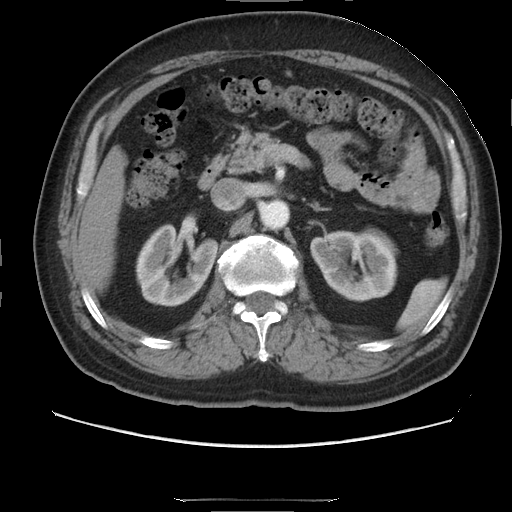
Case summary: Multiphase abdominal CT, liver, arterial phase. Patient: male, age 68.